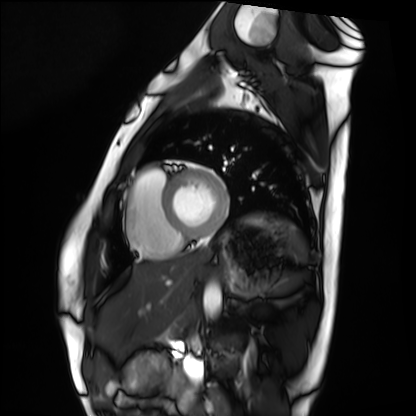
Cardiac MRI. Subject group: healthy volunteer.